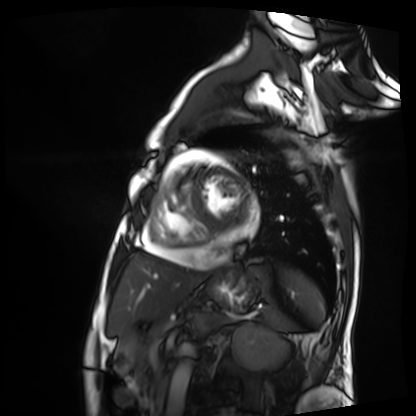
Cardiac MRI. Subject group: patient.